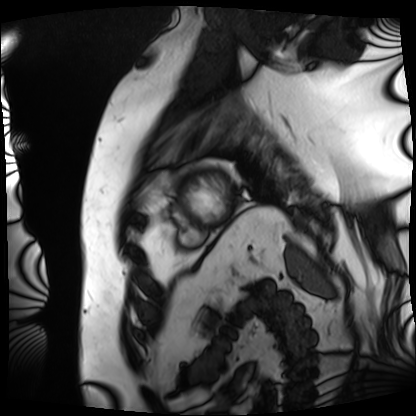
modality: cardiac MRI; subject group: patient.